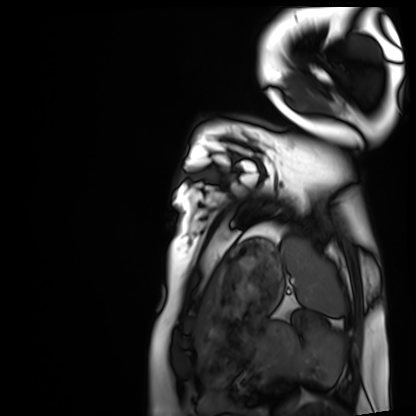
Cardiac MRI.
Subject group: healthy volunteer.